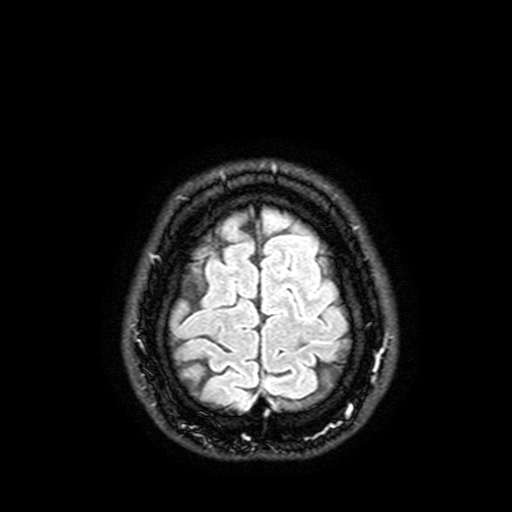
3 Tesla brain MRI. Series: FLAIR with SPAIR, 3 mm. Study: ring-enhancing brain masses.